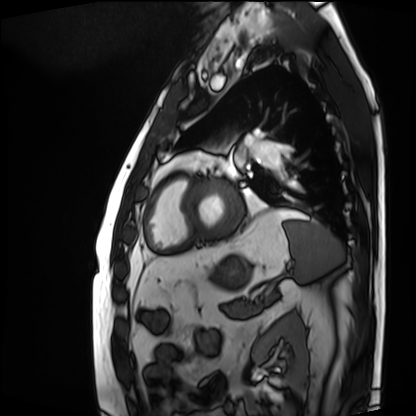
Cardiac MRI. Subject group: patient.